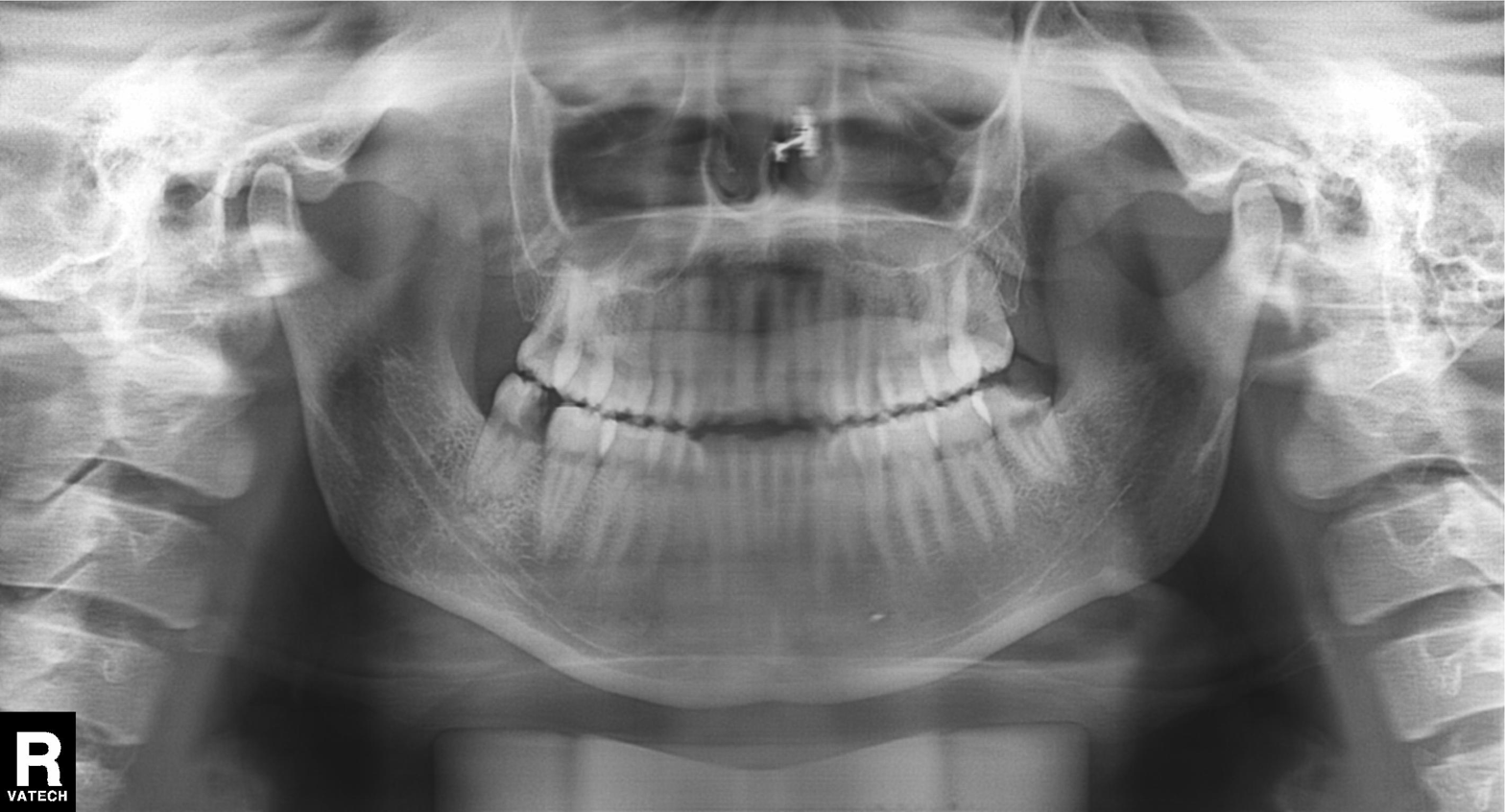
modality: panoramic dental radiograph (orthopantomogram) | finding: alveolar bone loss.